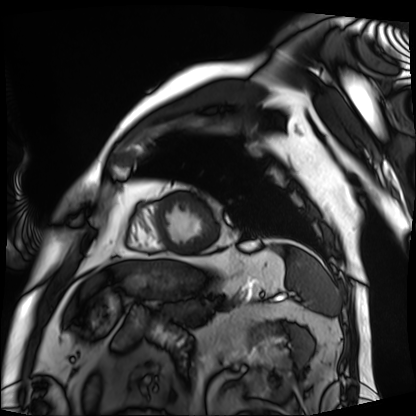
{"modality": "cardiac MRI", "cohort": "patient"}